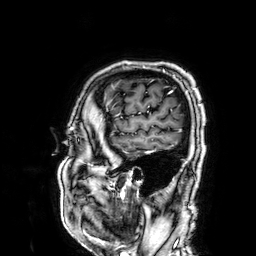
modality = 3 Tesla brain MRI
series = 3D T1-weighted
study = ring-enhancing brain masses